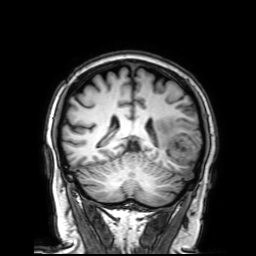
3 Tesla brain MRI. Series: 3D T1-weighted with SENSE. Study: ring-enhancing brain masses.